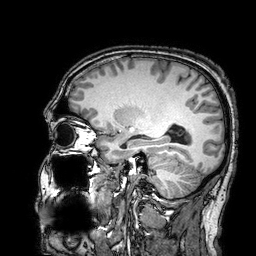
modality = 3 Tesla brain MRI
series = 3D T1-weighted turbo field echo with SENSE
study = ring-enhancing brain masses